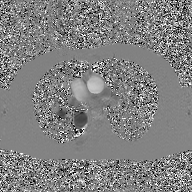
modality:
  type: 2D phase-contrast cine MRI
  region: ascending aorta
  reconstruction: GAN super-resolution reconstruction